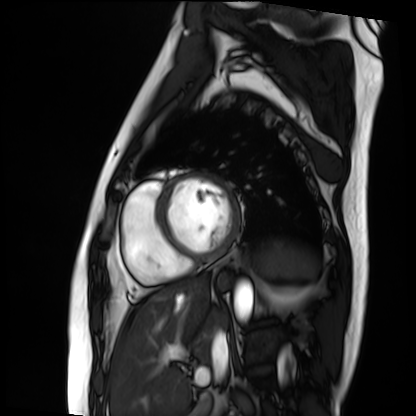
Cardiac MRI.
Subject group: patient.